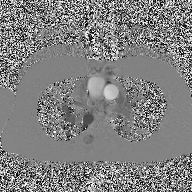
Summary:
2D phase-contrast cine MRI of the ascending aorta, high-resolution GRAPPA acquisition.